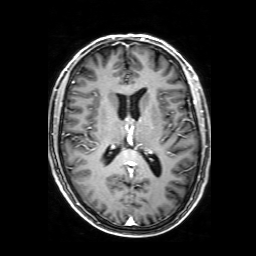
3 Tesla brain MRI. Series: 3D T1-weighted with SENSE. Study: ring-enhancing brain masses.